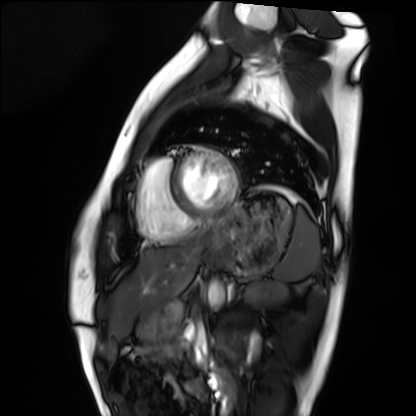
Summary: Cardiac MRI. Subject group: healthy volunteer.